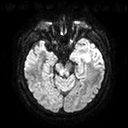
- modality · 3 Tesla brain MRI
- series · diffusion tensor imaging (medium iso)
- study · ring-enhancing brain masses